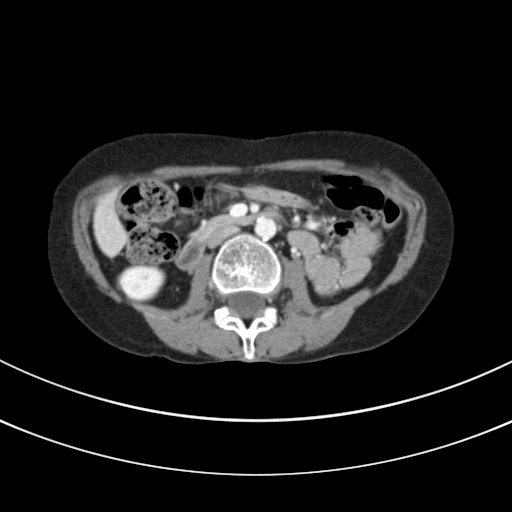
Q: What kind of scan is this?
A: Multiphase abdominal CT, liver, portal venous phase.
Q: Patient?
A: Female, age 44.